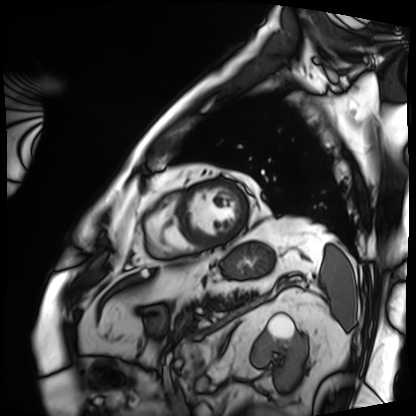
<case>
<modality>cardiac MRI</modality>
<cohort>patient</cohort>
</case>